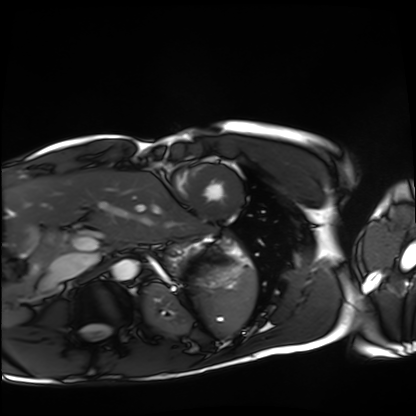
Summary:
Cardiac MRI. Subject group: healthy volunteer.